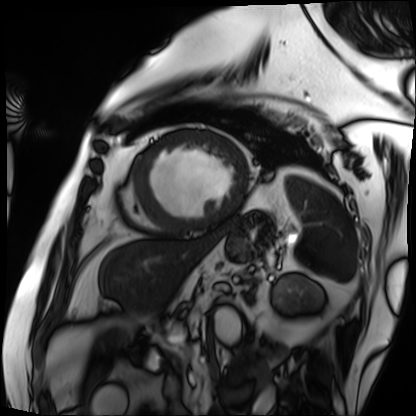
Case:
• modality: cardiac MRI
• subject group: patient